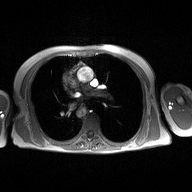
Q: What kind of scan is this?
A: 2D phase-contrast cine MRI of the ascending aorta.